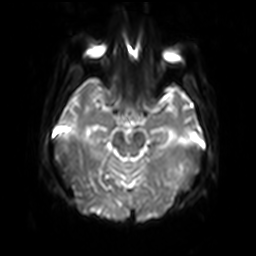
3 Tesla brain MRI.
Series: diffusion-weighted imaging with SENSE (WIP).
Study: ring-enhancing brain masses.